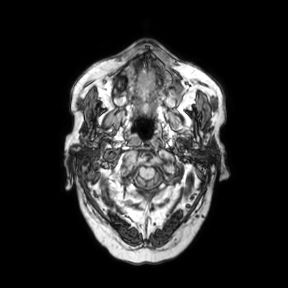
| field | value |
|---|---|
| modality | 3 Tesla brain MRI |
| series | axial |
| study | ring-enhancing brain masses |